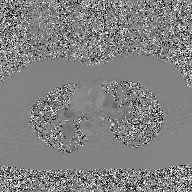
modality: 2D phase-contrast cine MRI of the ascending aorta, GAN super-resolution reconstruction